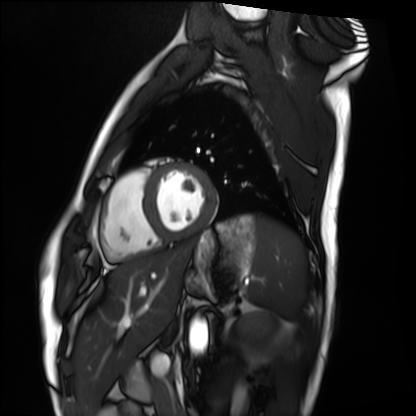
modality: cardiac MRI
subject group: healthy volunteer